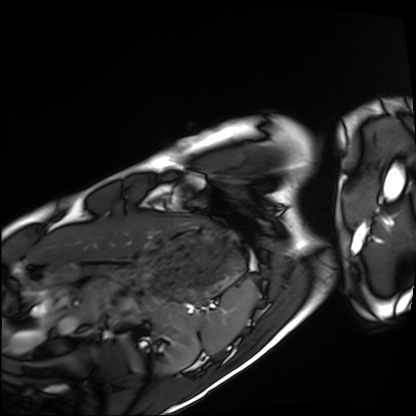
* modality · cardiac MRI
* subject group · healthy volunteer